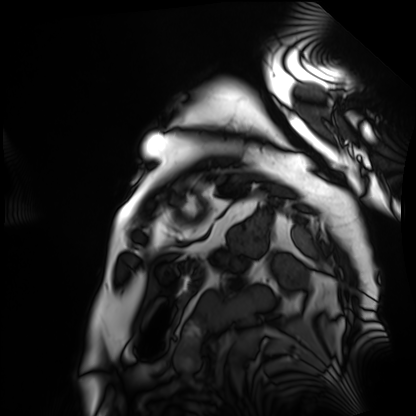
Cardiac MRI. Subject group: patient.